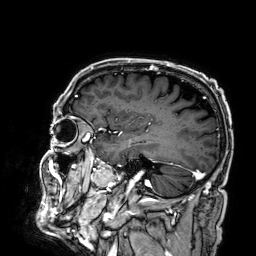
modality=3 Tesla brain MRI | study=ring-enhancing brain masses.